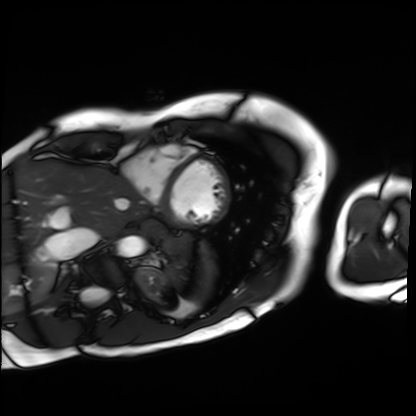
Cardiac MRI. Subject group: patient.